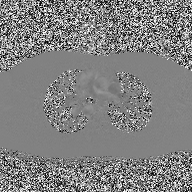
2D phase-contrast cine MRI of the ascending aorta, high-resolution GRAPPA acquisition.